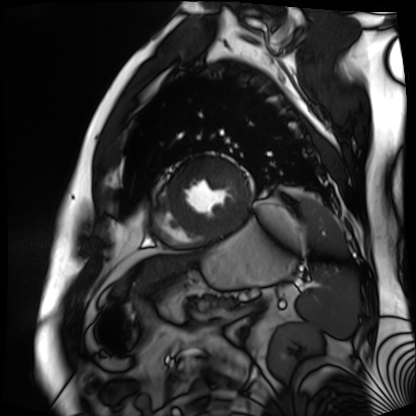
modality: cardiac MR image of the myocardium; subject cohort: cardiac patient.